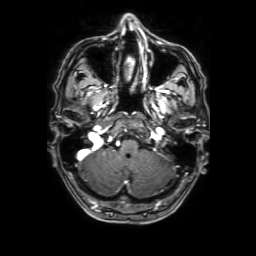
modality = 3 Tesla brain MRI; series = 3D T1-weighted with SENSE; study = ring-enhancing brain masses.